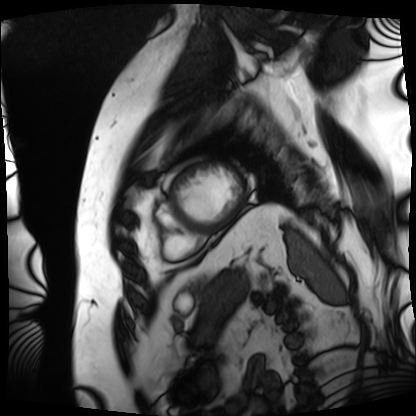
modality — cardiac MRI | subject group — patient.